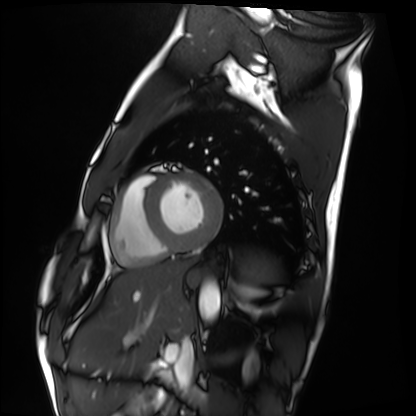
| field | value |
|---|---|
| modality | cardiac MRI |
| subject group | healthy volunteer |